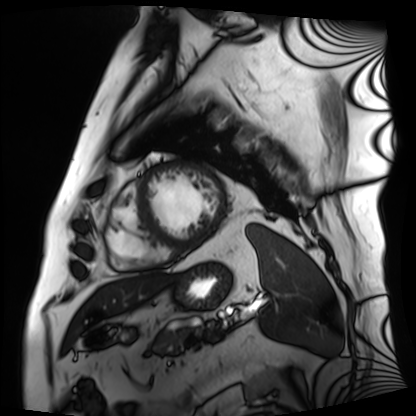
Summary:
Cardiac MRI. Subject group: patient.